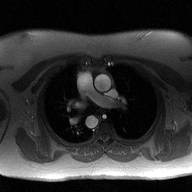
  modality:
    type: 2D phase-contrast cine MRI
    region: ascending aorta
    reconstruction: high-resolution GRAPPA acquisition